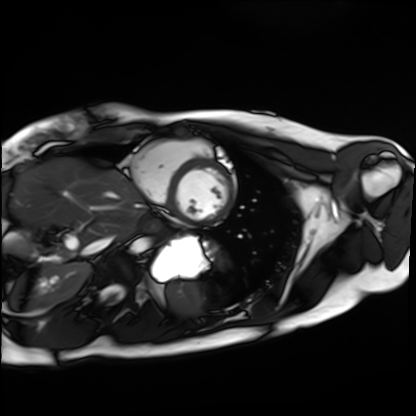
Cardiac MRI. Subject group: healthy volunteer.